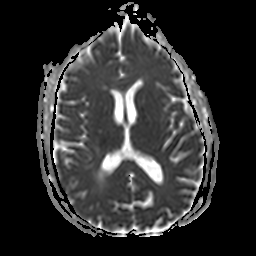
3 Tesla brain MRI.
Series: apparent diffusion coefficient (ADC) map.
Study: ring-enhancing brain masses.